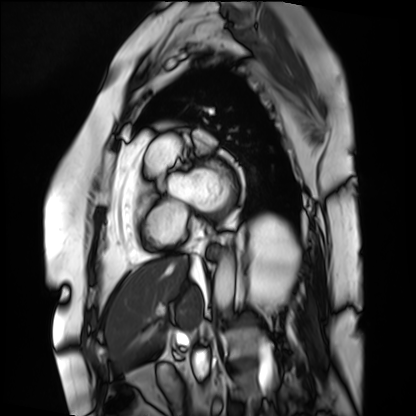
Q: What kind of scan is this?
A: Cardiac MRI.
Subject group: patient.